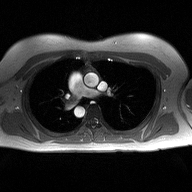
modality = 2D phase-contrast cine MRI of the ascending aorta.